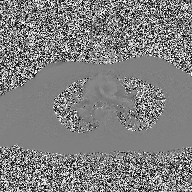
| field | value |
|---|---|
| modality | 2D phase-contrast cine MRI of the ascending aorta |